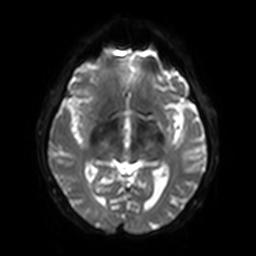
3 Tesla brain MRI. Series: diffusion-weighted imaging with SENSE (WIP). Study: ring-enhancing brain masses.